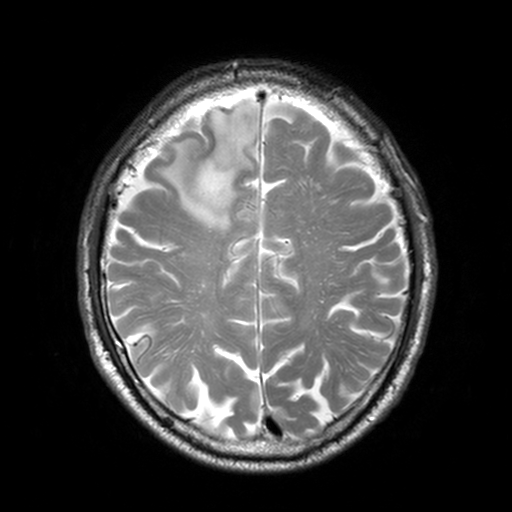
Case summary: 3 Tesla brain MRI. Series: T2-weighted turbo spin echo, 3 mm. Study: ring-enhancing brain masses.